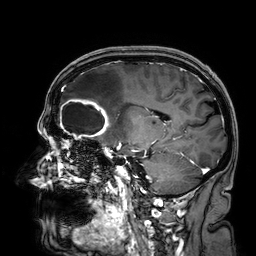
Q: What kind of scan is this?
A: 3 Tesla brain MRI.
Q: Series?
A: 3D T1-weighted.
Study: ring-enhancing brain masses.